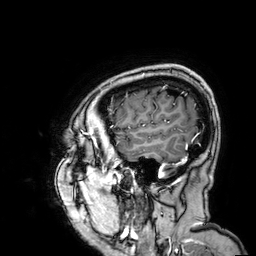
3 Tesla brain MRI. Series: 3D T1-weighted. Study: ring-enhancing brain masses.